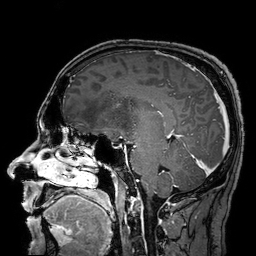
3 Tesla brain MRI. Series: 3D T1-weighted turbo field echo with SENSE. Study: ring-enhancing brain masses.